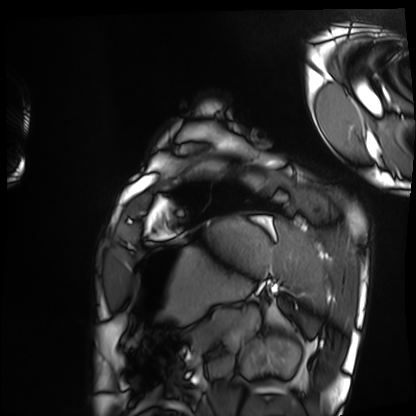
Clinical context:
Cardiac MRI. Subject group: healthy volunteer.